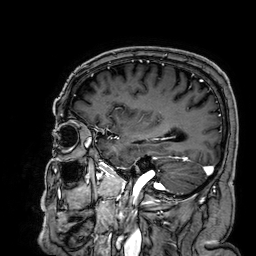
modality=3 Tesla brain MRI | series=3D T1-weighted | study=ring-enhancing brain masses.